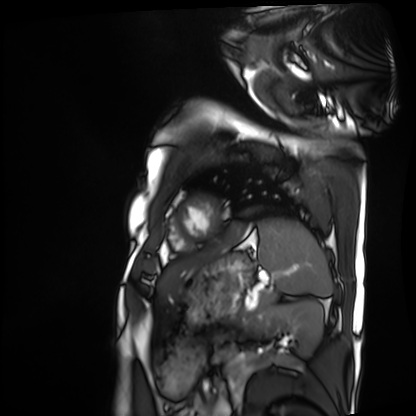
  modality: cardiac MRI
  cohort: patient